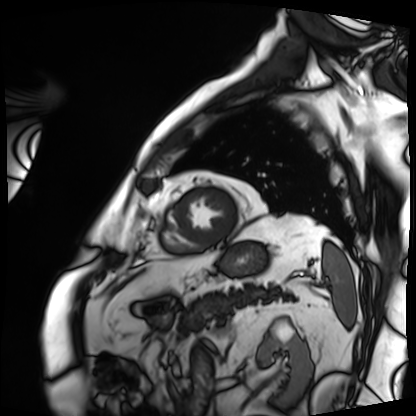
modality: cardiac MRI
cohort: patient